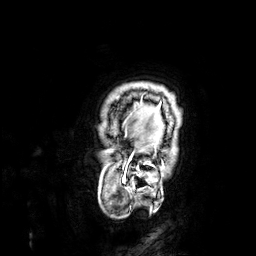
<scan>
  <modality>
    <type>brain MRI</type>
    <field_strength>3T</field_strength>
  </modality>
  <series>3D T1-weighted</series>
  <study_topic>ring-enhancing brain masses</study_topic>
</scan>